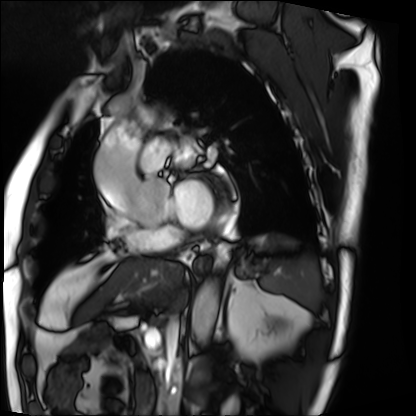
<study>
<modality>cardiac MRI</modality>
<cohort>patient</cohort>
</study>